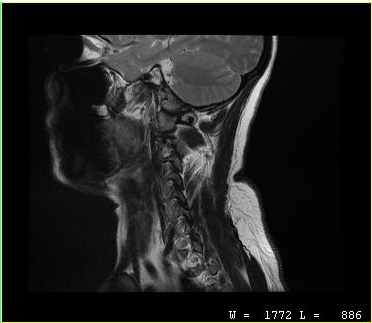
MRI of the cervical spine.
Study: cervical spondylosis.